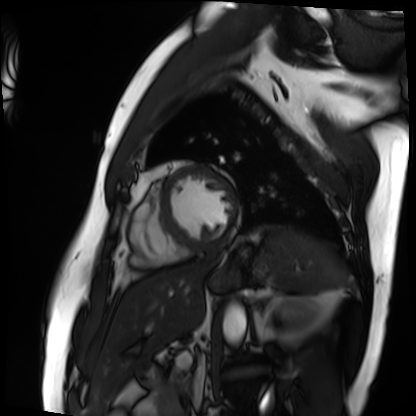
Q: What kind of scan is this?
A: Cardiac MRI.
Subject group: patient.